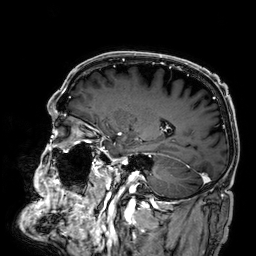
Summary:
3 Tesla brain MRI. Series: 3D T1-weighted. Study: ring-enhancing brain masses.